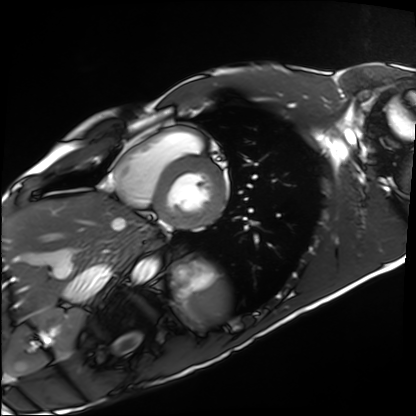
Clinical context:
Cardiac MRI. Subject group: healthy volunteer.